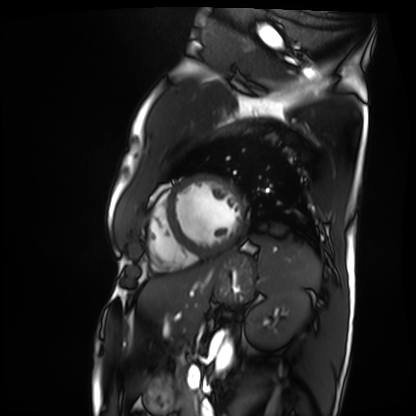
modality = cardiac MRI | subject group = patient.